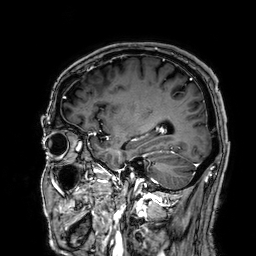
3 Tesla brain MRI.
Series: 3D T1-weighted.
Study: ring-enhancing brain masses.